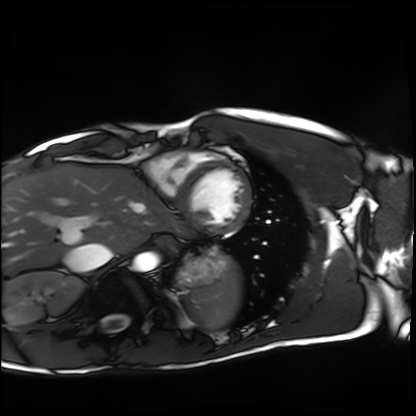
Cardiac MRI. Subject group: healthy volunteer.